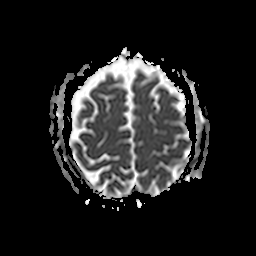
modality = 3 Tesla brain MRI
series = apparent diffusion coefficient (ADC) map
study = ring-enhancing brain masses